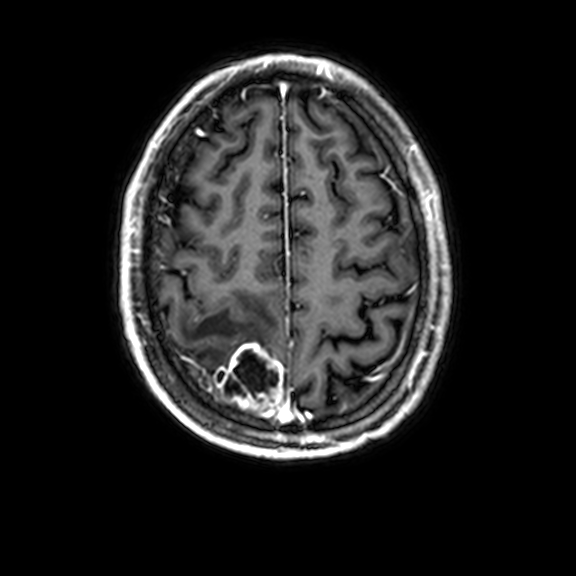
modality: 3 Tesla brain MRI; series: 3D T1-weighted with CLEAR; study: ring-enhancing brain masses.